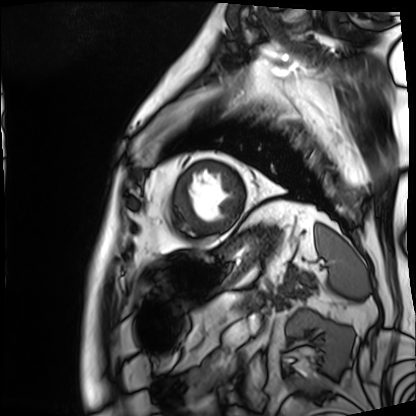
| field | value |
|---|---|
| modality | cardiac MRI |
| subject group | patient |